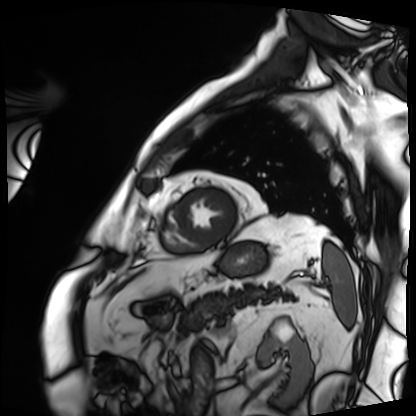
Cardiac MRI.
Subject group: patient.